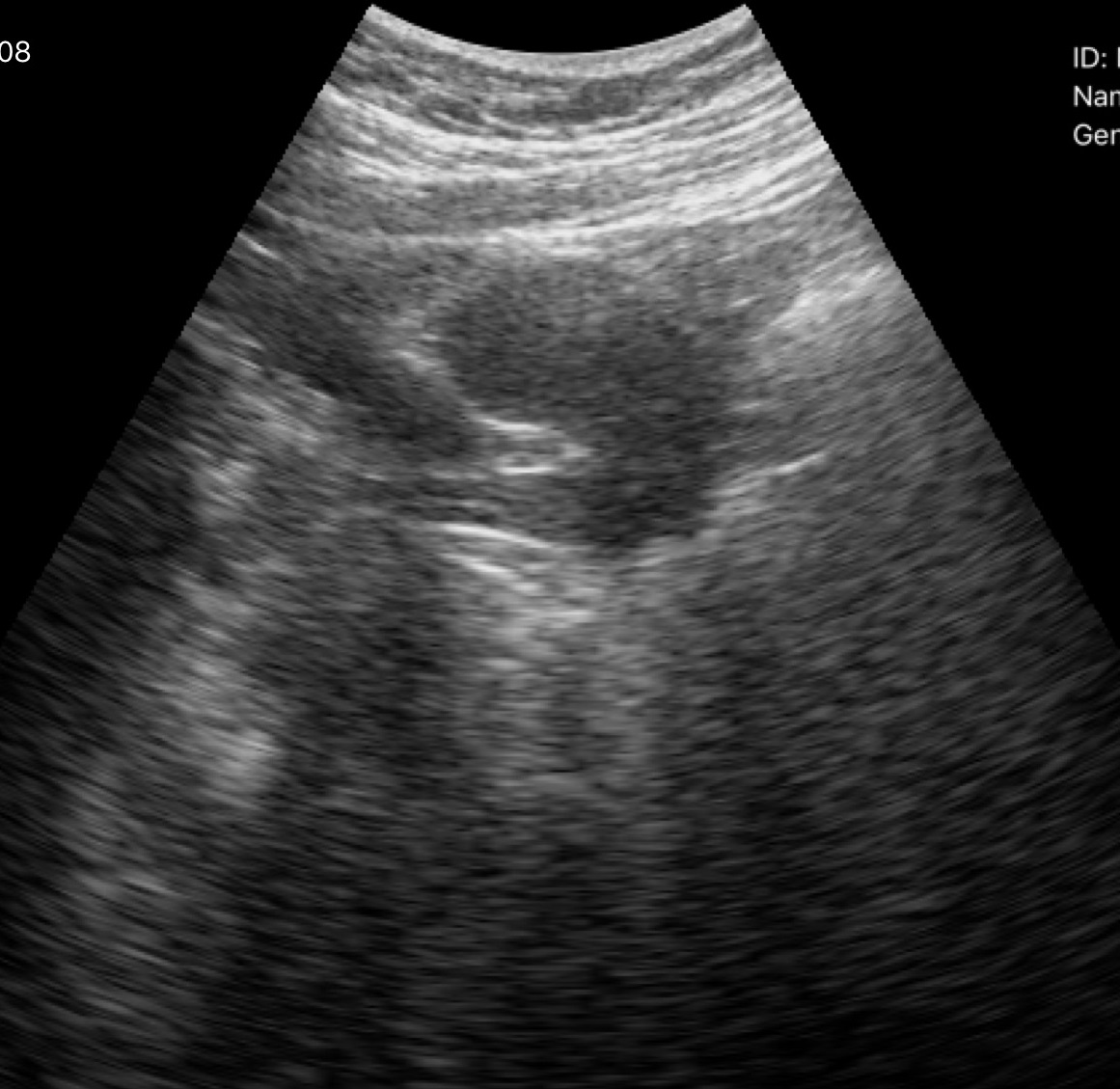
- modality — genitourinary ultrasound